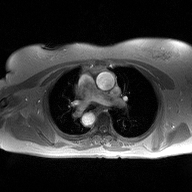
Q: What kind of scan is this?
A: 2D phase-contrast cine MRI of the ascending aorta.